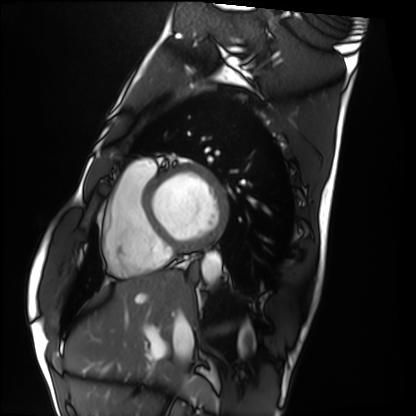
{
  "modality": "cardiac MRI",
  "cohort": "healthy volunteer"
}